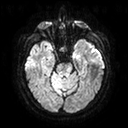
3 Tesla brain MRI. Series: diffusion tensor imaging (medium iso). Study: ring-enhancing brain masses.